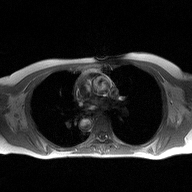
Case summary: 2D phase-contrast cine MRI of the ascending aorta, high-resolution GRAPPA acquisition.